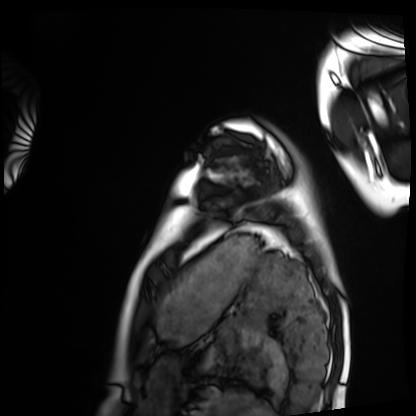
Cardiac MRI. Subject group: healthy volunteer.